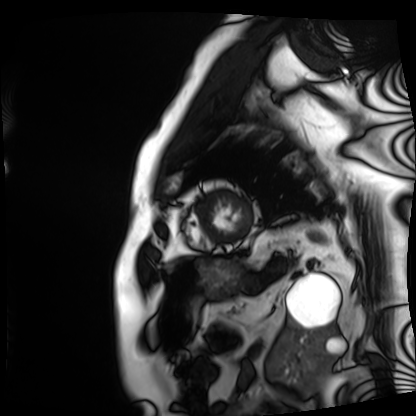
Summary:
Cardiac MRI. Subject group: patient.